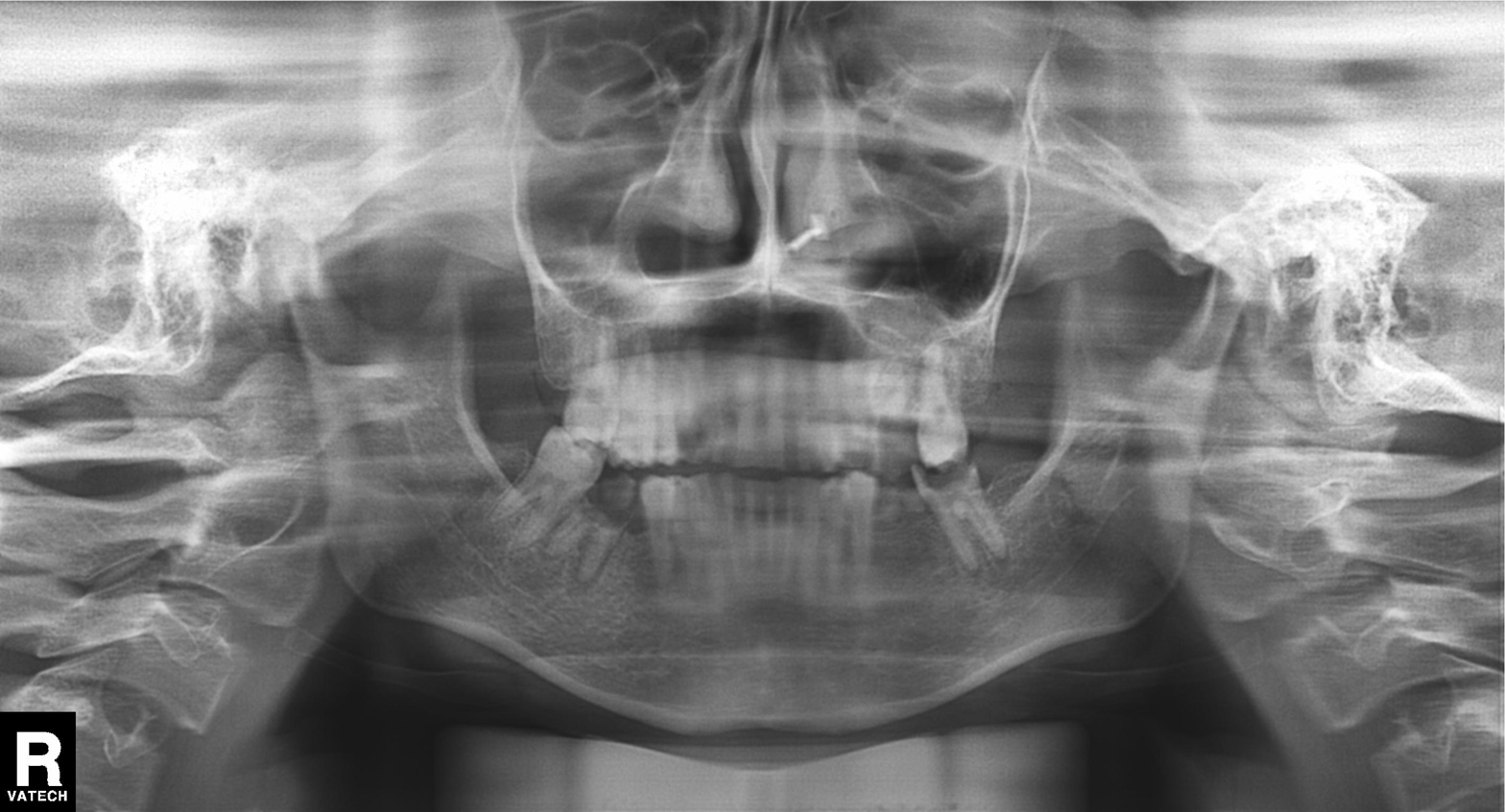
modality: panoramic dental radiograph (orthopantomogram)
finding: tooth impaction